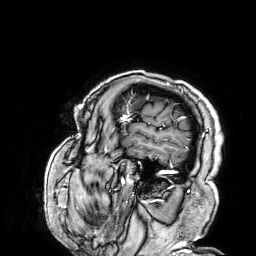
Summary: 3 Tesla brain MRI. Series: 3D T1-weighted. Study: ring-enhancing brain masses.